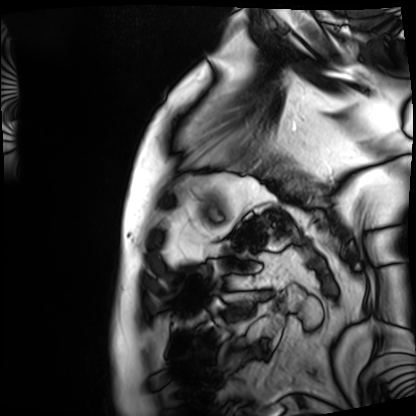
Q: What kind of scan is this?
A: Cardiac MRI.
Subject group: patient.